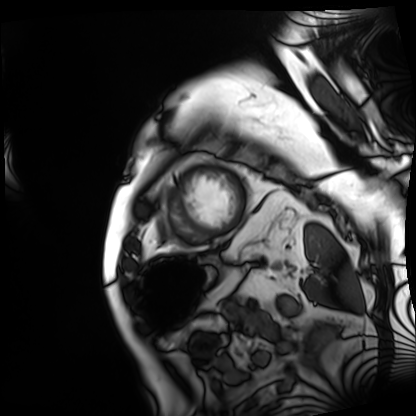
modality: cardiac MRI
subject group: patient